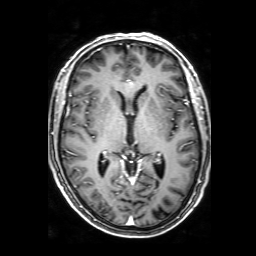
Case:
- modality: 3 Tesla brain MRI
- series: 3D T1-weighted with SENSE
- study: ring-enhancing brain masses